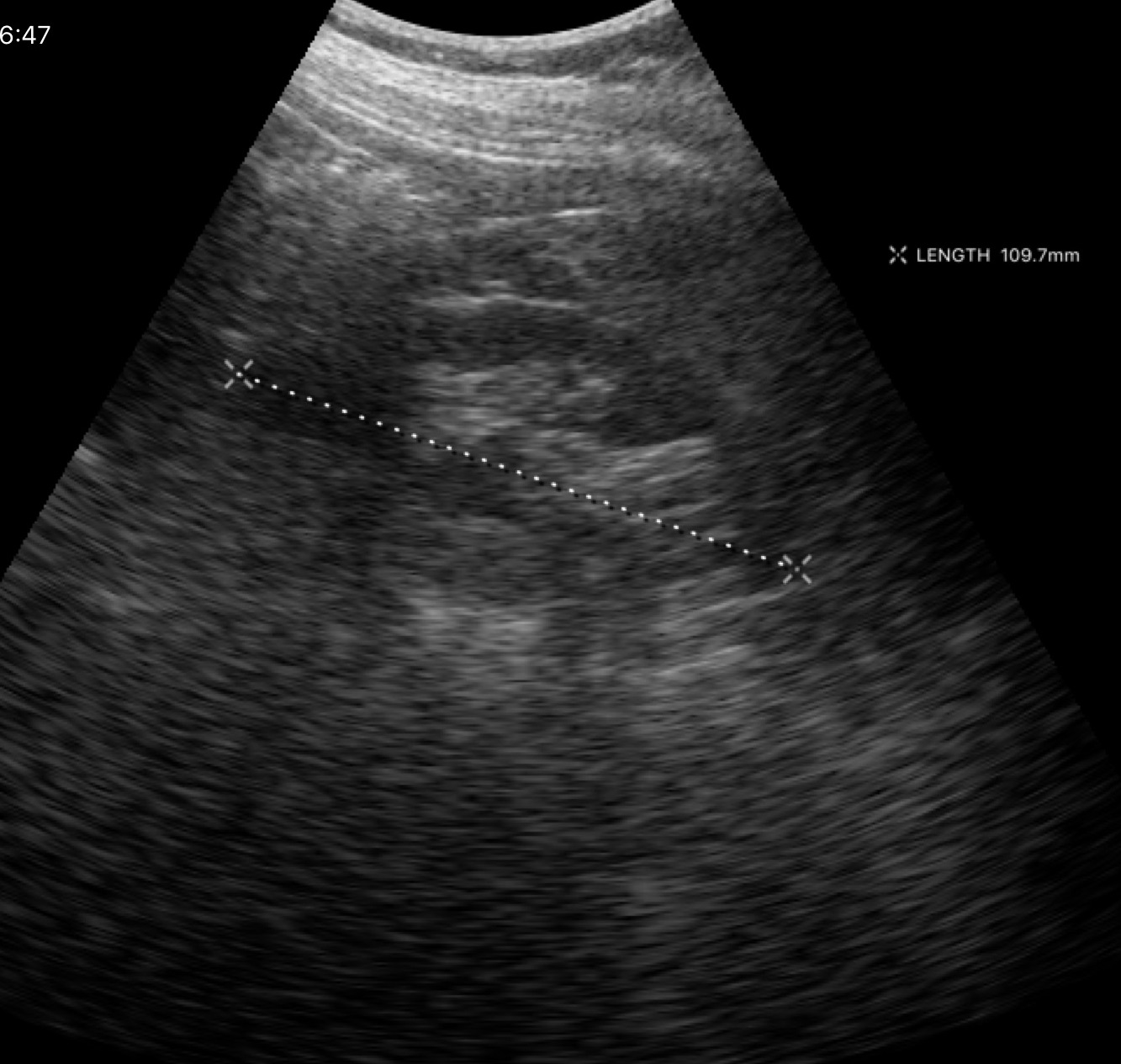
Case summary: Genitourinary ultrasound.